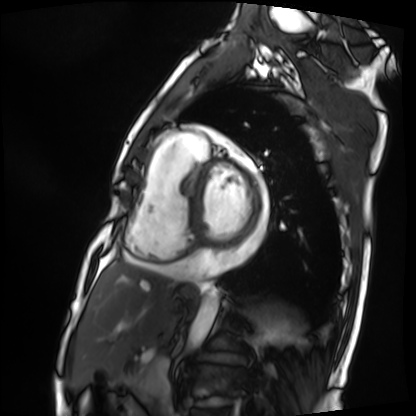
{"modality": "cardiac MRI", "cohort": "patient"}